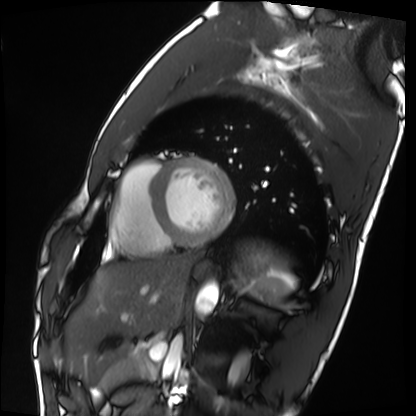
modality: cardiac MRI
subject group: healthy volunteer